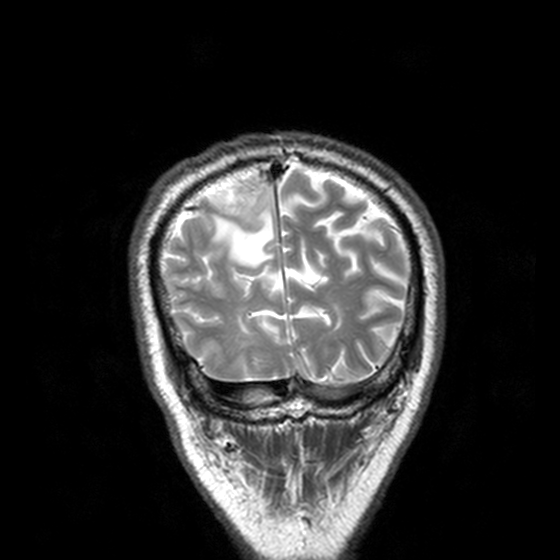
3 Tesla brain MRI. Series: T2-weighted turbo spin echo, 3 mm. Study: ring-enhancing brain masses.